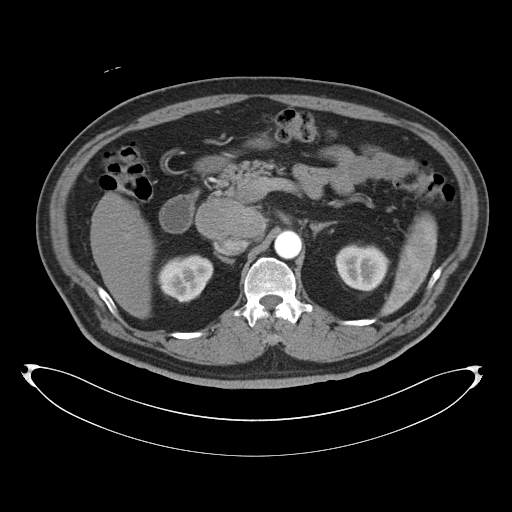
Multiphase abdominal CT, liver, arterial phase. Patient: male, age 53. History: cirrhosis.